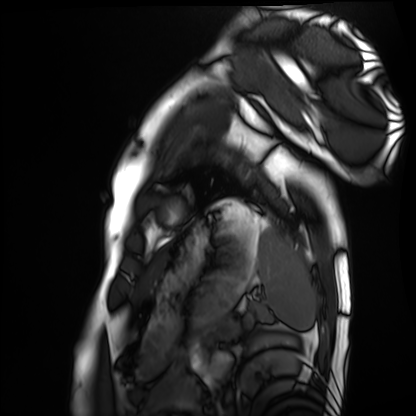
| field | value |
|---|---|
| modality | cardiac MRI |
| subject group | healthy volunteer |